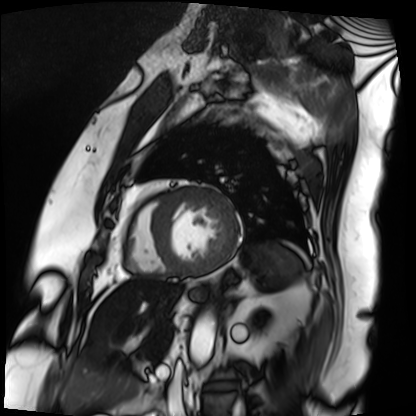
<study>
<modality>cardiac MRI</modality>
<cohort>patient</cohort>
</study>